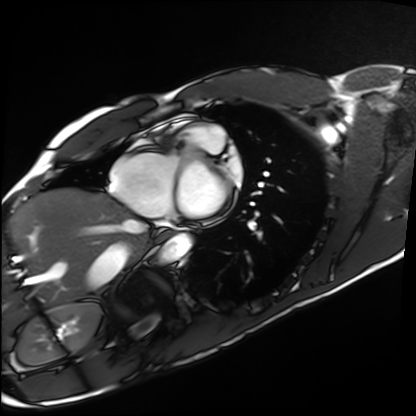
modality: cardiac MRI; subject group: healthy volunteer.